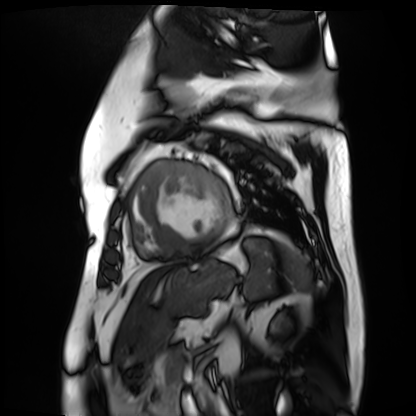
Clinical context: Cardiac MR image of the myocardium. Subject cohort: cardiac patient.